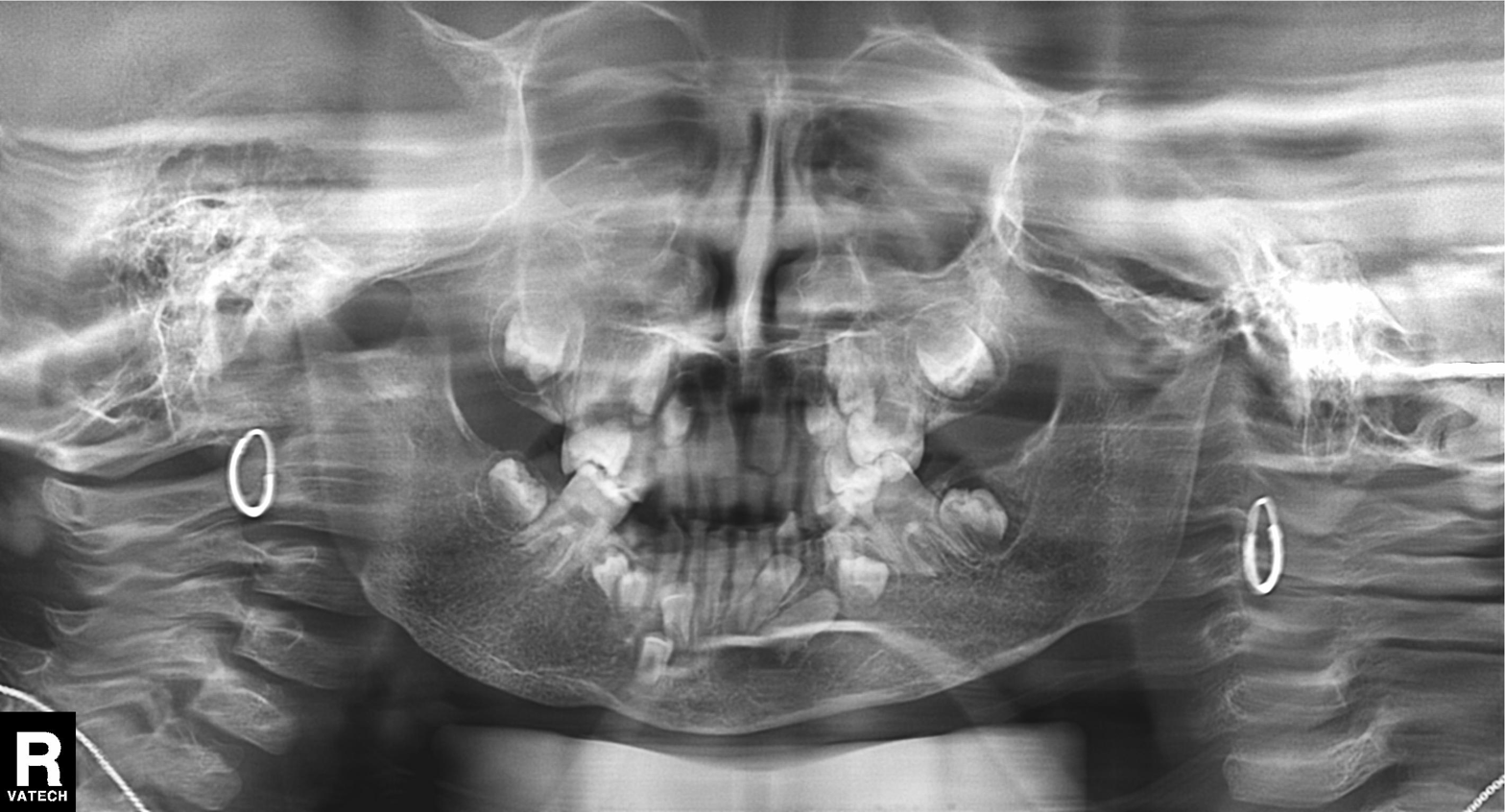
modality: panoramic dental radiograph (orthopantomogram)
finding: alveolar bone loss